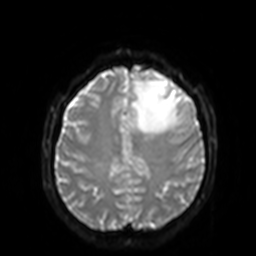
Case summary:
3 Tesla brain MRI. Series: diffusion-weighted imaging with SENSE (WIP). Study: ring-enhancing brain masses.